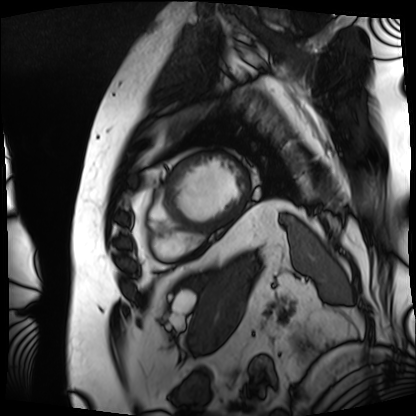
Case summary:
Cardiac MRI. Subject group: patient.